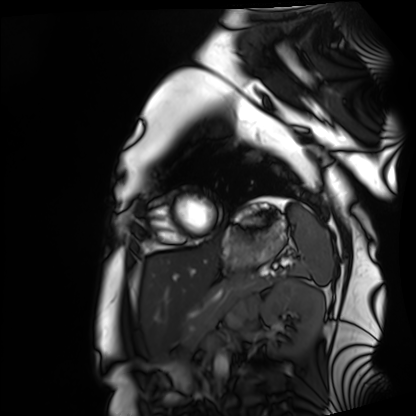
Cardiac MRI.
Subject group: healthy volunteer.